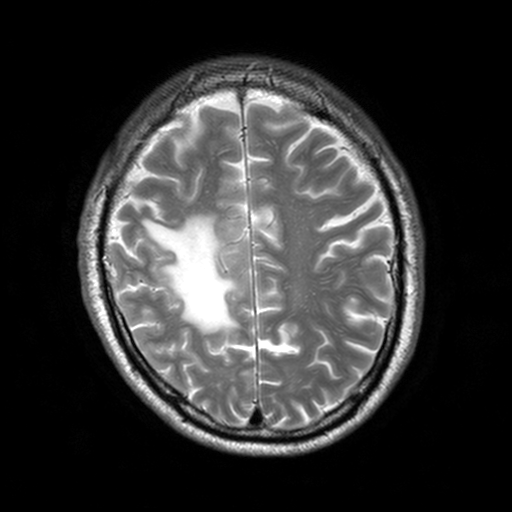
3 Tesla brain MRI. Series: T2-weighted turbo spin echo, 3 mm. Study: ring-enhancing brain masses.